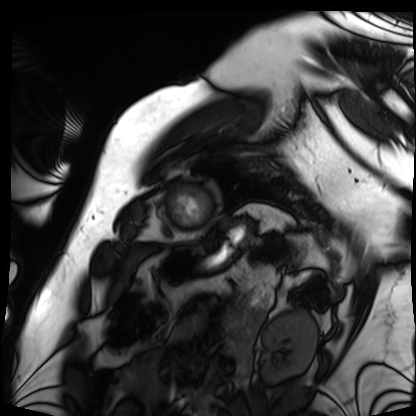
Case summary:
Cardiac MRI. Subject group: patient.